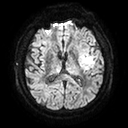
Clinical context:
3 Tesla brain MRI. Series: diffusion tensor imaging (medium iso). Study: ring-enhancing brain masses.